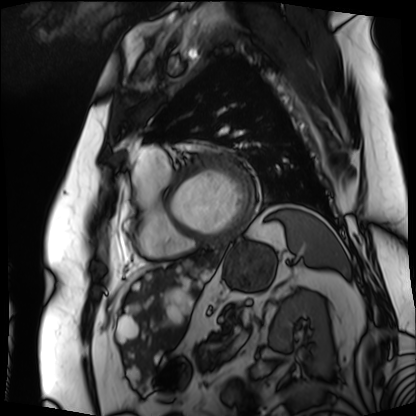
Cardiac MRI. Subject group: patient.